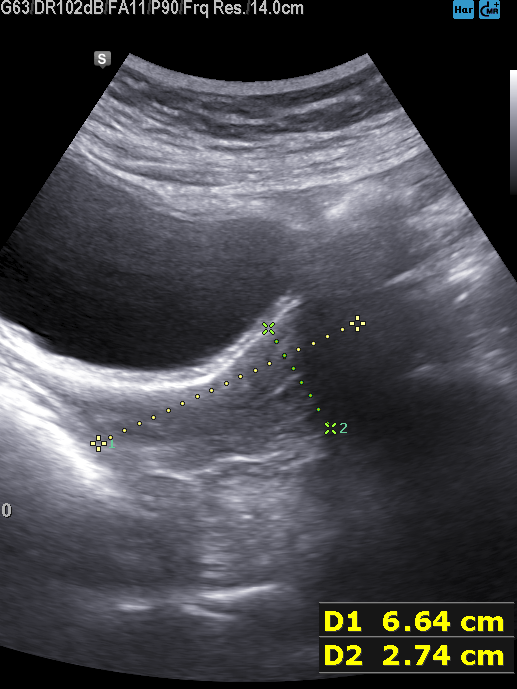
Genitourinary ultrasound.